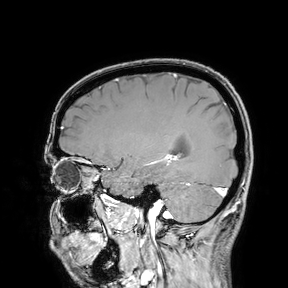
– modality — 3 Tesla brain MRI
– study — ring-enhancing brain masses